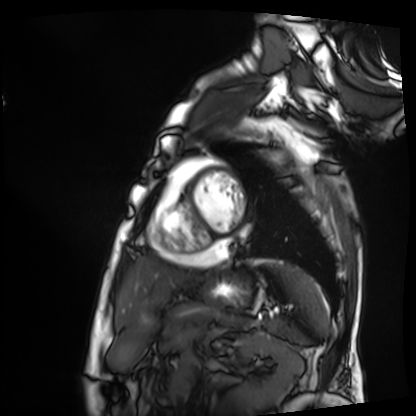
Case summary: Cardiac MRI. Subject group: patient.